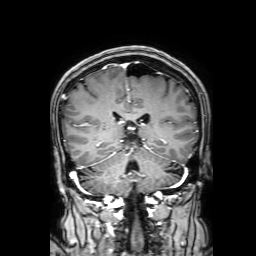
{
  "modality": {
    "type": "brain MRI",
    "field_strength": "3T"
  },
  "series": "3D T1-weighted with SENSE",
  "study_topic": "ring-enhancing brain masses"
}